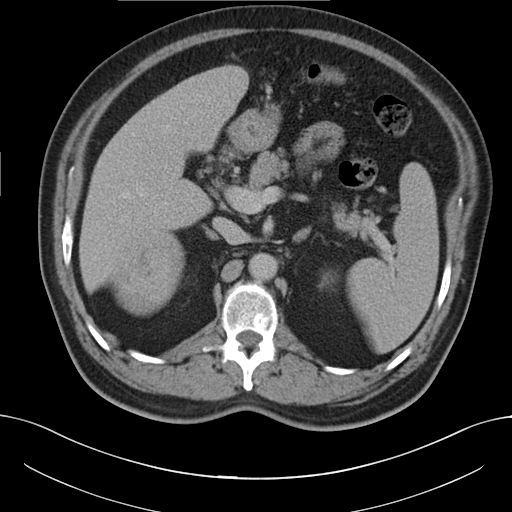
Summary: Multiphase abdominal CT, liver, delayed phase. Patient: male, age 56.